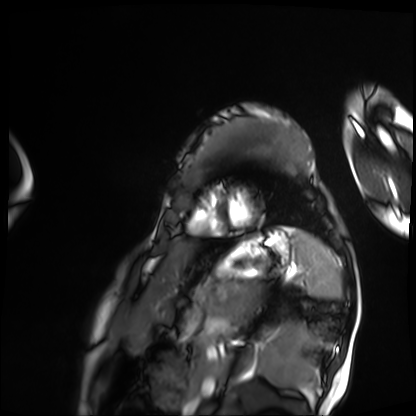
Q: What kind of scan is this?
A: Cardiac MRI.
Subject group: patient.